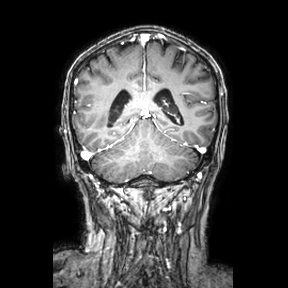
modality=3 Tesla brain MRI | series=coronal | study=ring-enhancing brain masses.